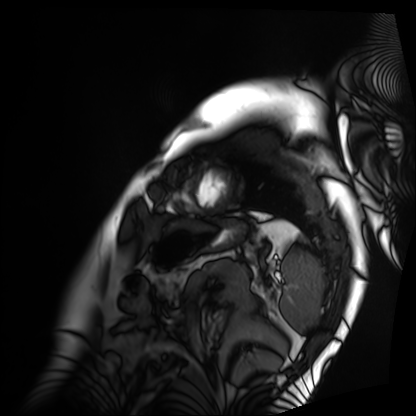
Clinical context: Cardiac MRI. Subject group: patient.